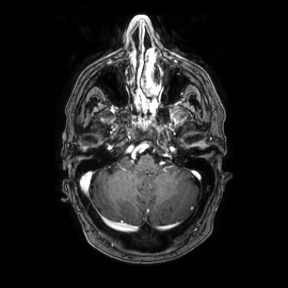
<study>
<modality>
  <type>brain MRI</type>
  <field_strength>3T</field_strength>
</modality>
<series>axial</series>
<study_topic>ring-enhancing brain masses</study_topic>
</study>